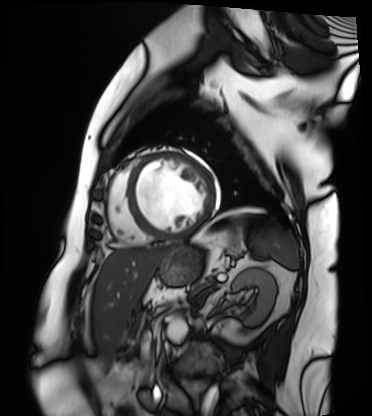
Cardiac MRI. Subject group: patient.